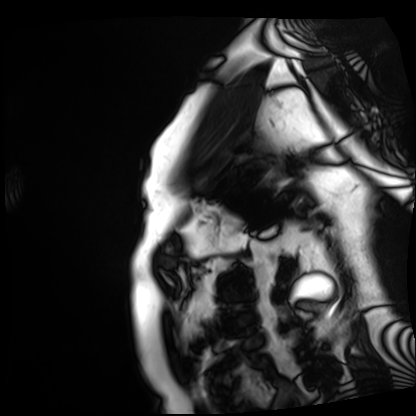
• modality: cardiac MRI
• subject group: patient